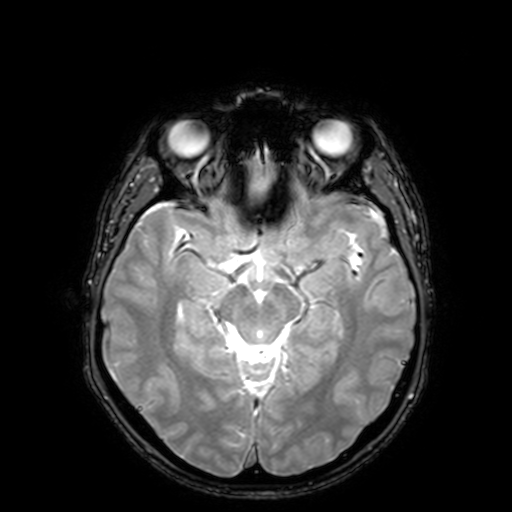
Clinical context: 3 Tesla brain MRI. Series: T2-weighted fast field echo with SENSE. Study: ring-enhancing brain masses.